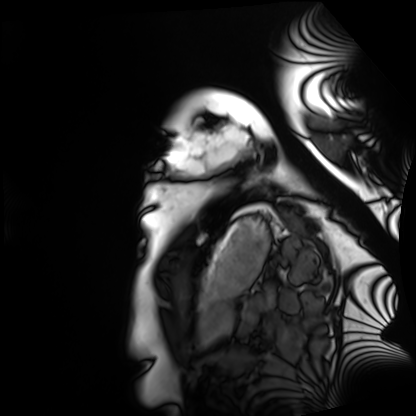
{
  "modality": "cardiac MRI",
  "cohort": "healthy volunteer"
}